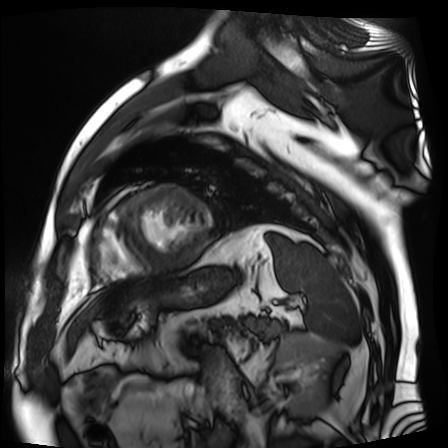
Cardiac MR image of the myocardium.
Subject cohort: cardiac patient.